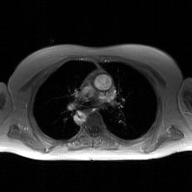
2D phase-contrast cine MRI of the ascending aorta, GAN super-resolution reconstruction.